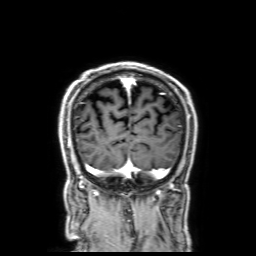
3 Tesla brain MRI. Series: 3D T1-weighted with SENSE. Study: ring-enhancing brain masses.